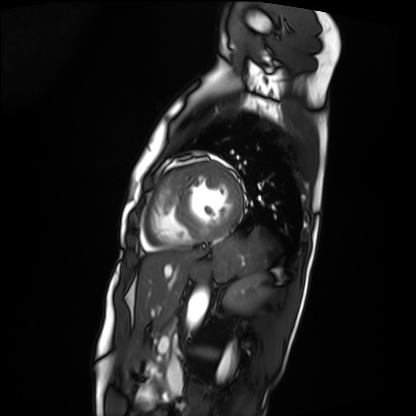
modality: cardiac MRI
cohort: patient